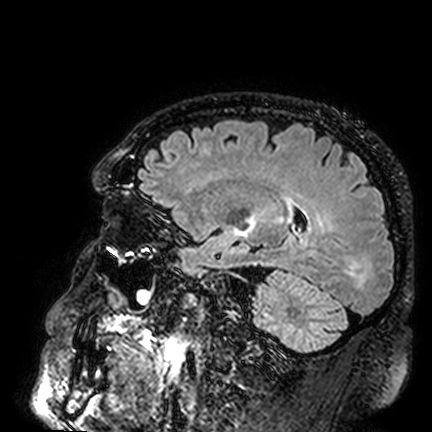
3 Tesla brain MRI.
Series: FLAIR VISTA.
Study: ring-enhancing brain masses.